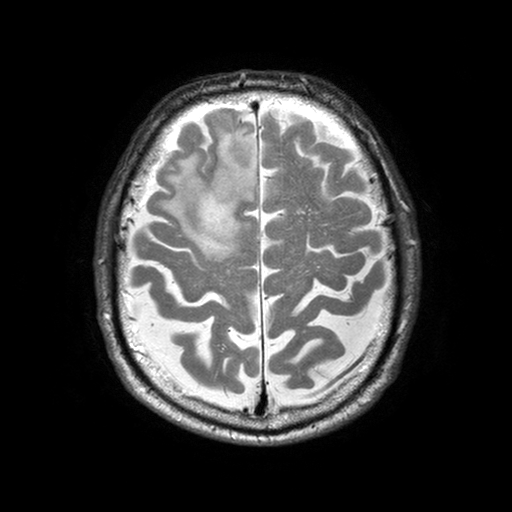
modality=3 Tesla brain MRI; series=T2-weighted turbo spin echo with SENSE; study=ring-enhancing brain masses.